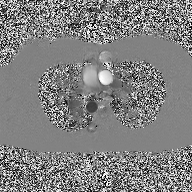
modality = 2D phase-contrast cine MRI of the ascending aorta.